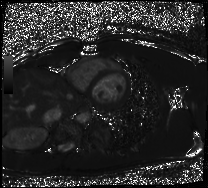
Summary:
Cardiac MRI. Subject group: healthy volunteer.